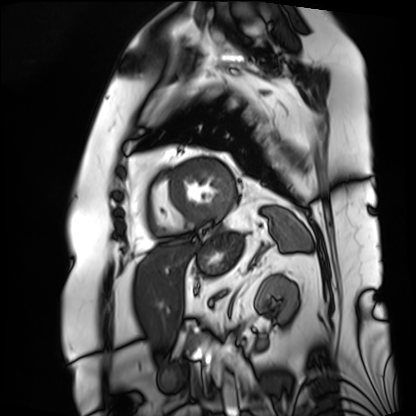
modality — cardiac MRI; subject group — patient.